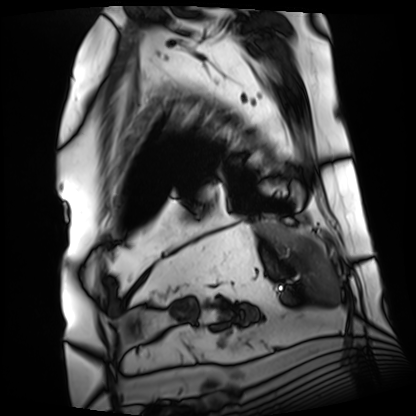
<study>
  <modality>cardiac MRI</modality>
  <cohort>patient</cohort>
</study>